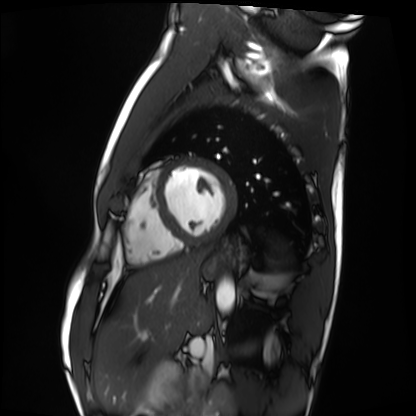
Cardiac MRI.
Subject group: healthy volunteer.